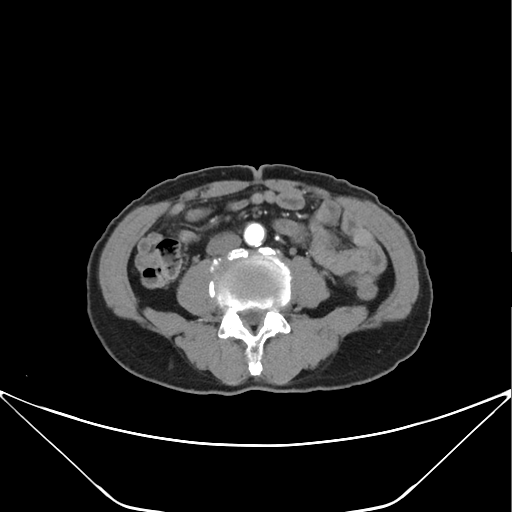
Multiphase abdominal CT, liver, arterial phase. Patient: male, age 71. History: prior chemotherapy.